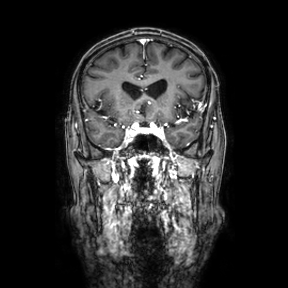
Summary:
3 Tesla brain MRI. Series: coronal. Study: ring-enhancing brain masses.